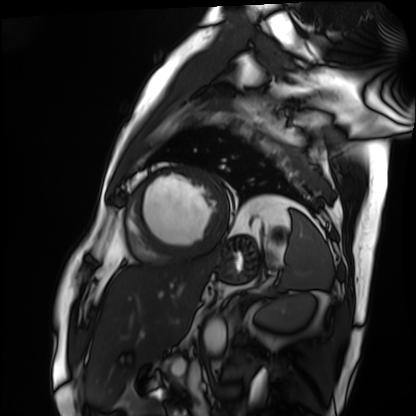
| field | value |
|---|---|
| modality | cardiac MRI |
| subject group | patient |